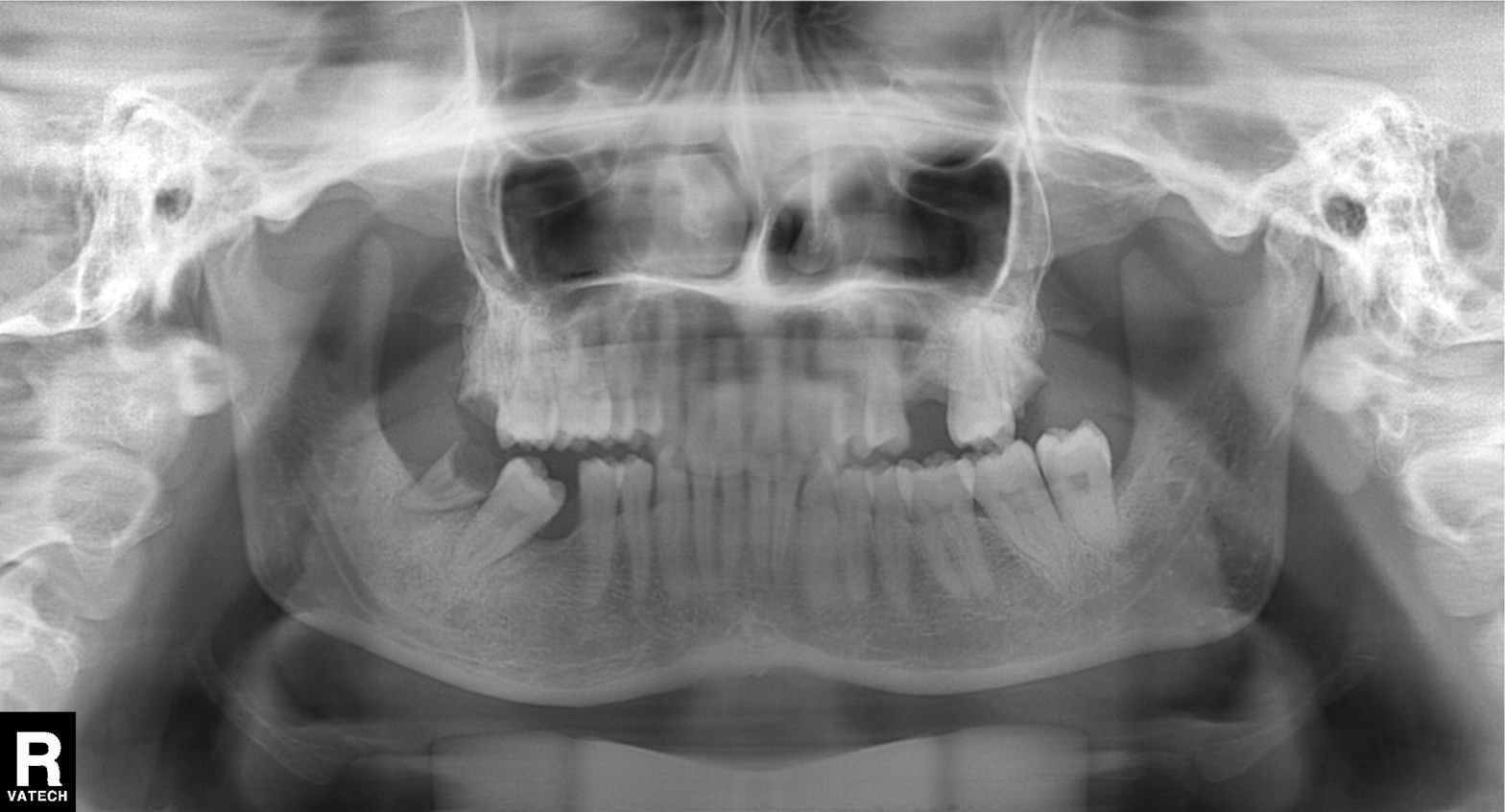
Panoramic dental radiograph (orthopantomogram). Finding: tooth impaction.